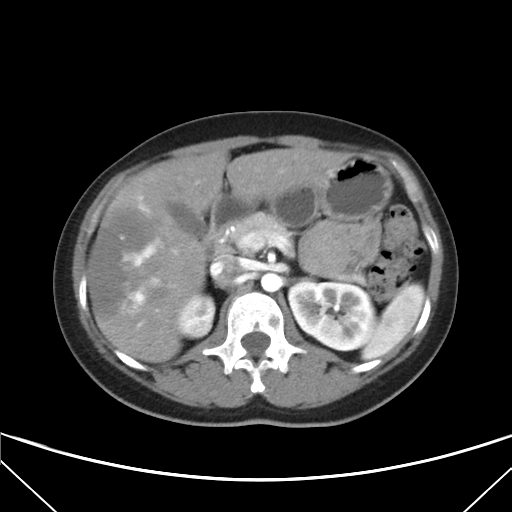
Summary:
Multiphase abdominal CT, liver, arterial phase. Patient: female, age 33. History: viral hepatitis.